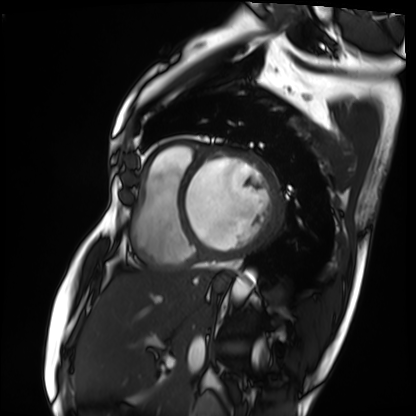
modality=cardiac MRI | subject group=patient.